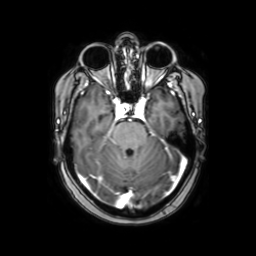
* modality — 3 Tesla brain MRI
* series — axial with contrast
* study — ring-enhancing brain masses